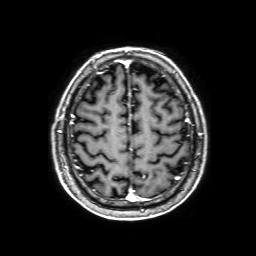
modality=3 Tesla brain MRI | series=3D T1-weighted with SENSE | study=ring-enhancing brain masses.